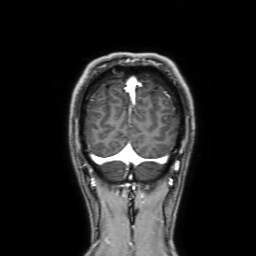
3 Tesla brain MRI. Series: 3D T1-weighted with SENSE. Study: ring-enhancing brain masses.